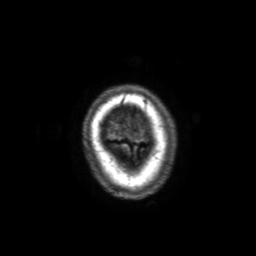
modality: 3 Tesla brain MRI
series: 3D T1-weighted with SENSE
study: ring-enhancing brain masses